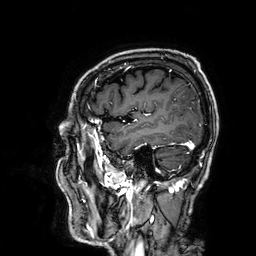
3 Tesla brain MRI. Series: 3D T1-weighted. Study: ring-enhancing brain masses.